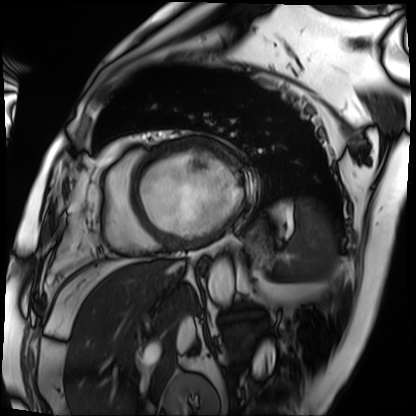
| field | value |
|---|---|
| modality | cardiac MRI |
| subject group | patient |